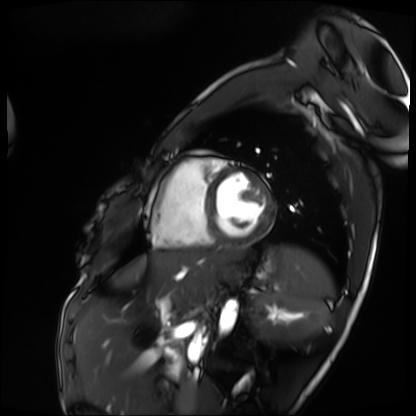
{
  "modality": "cardiac MRI",
  "cohort": "patient"
}